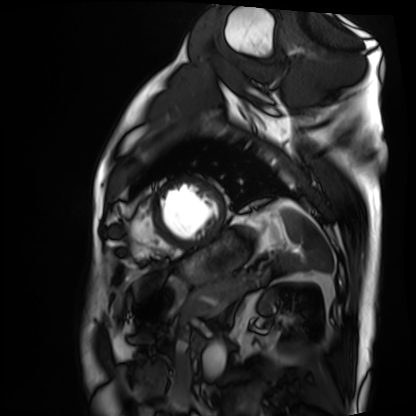
modality: cardiac MRI
cohort: patient